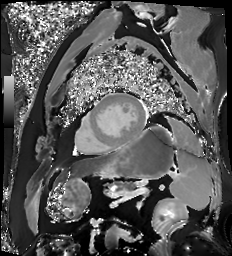
Cardiac MR image of the myocardium.
Subject cohort: cardiac patient.